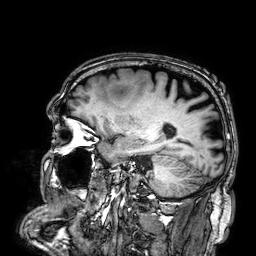
| field | value |
|---|---|
| modality | 3 Tesla brain MRI |
| series | 3D T1-weighted |
| study | ring-enhancing brain masses |